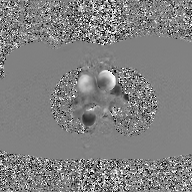
{"modality": {"type": "2D phase-contrast cine MRI", "region": "ascending aorta", "reconstruction": "GAN super-resolution reconstruction"}}